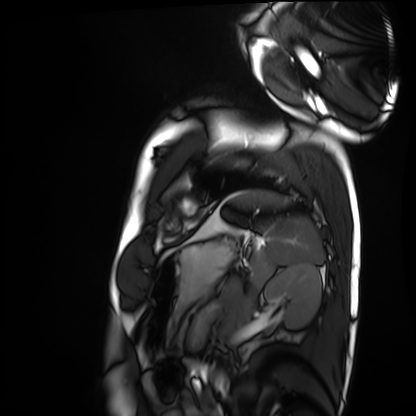
Summary:
Cardiac MRI. Subject group: healthy volunteer.